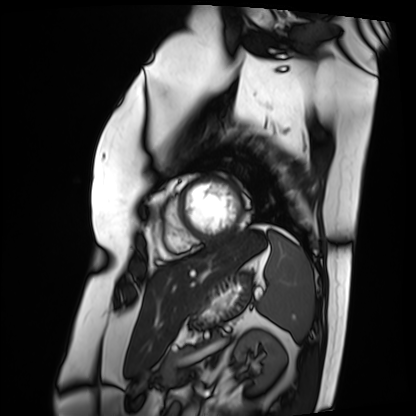
Cardiac MRI. Subject group: patient.